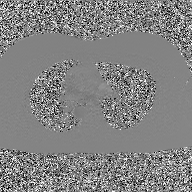
2D phase-contrast cine MRI of the ascending aorta, GAN super-resolution reconstruction.